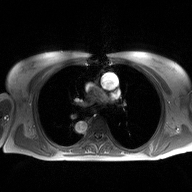
Clinical context:
2D phase-contrast cine MRI of the ascending aorta, high-resolution GRAPPA acquisition.